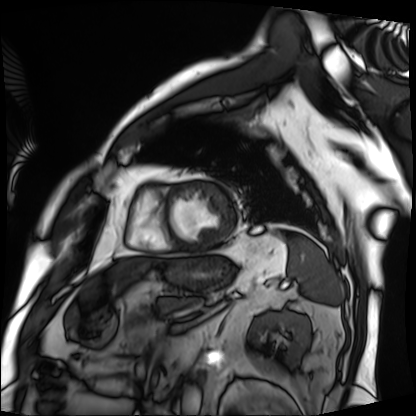
modality: cardiac MRI
cohort: patient